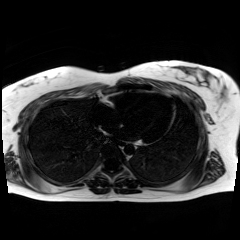
{
  "modality": "chemical-shift-encoded cardiac MRI"
}